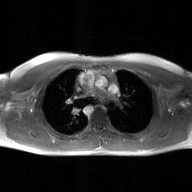
Q: What kind of scan is this?
A: 2D phase-contrast cine MRI of the ascending aorta, GAN super-resolution reconstruction.